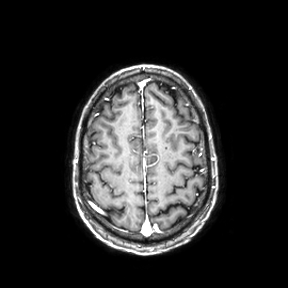
3 Tesla brain MRI.
Series: axial.
Study: ring-enhancing brain masses.